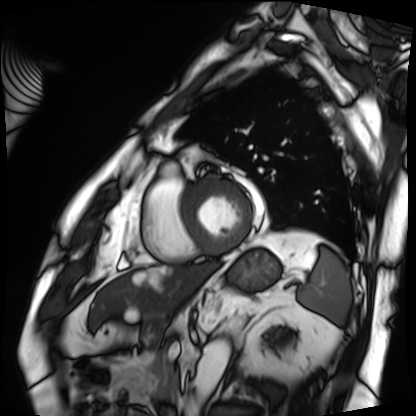
modality: cardiac MRI
cohort: patient